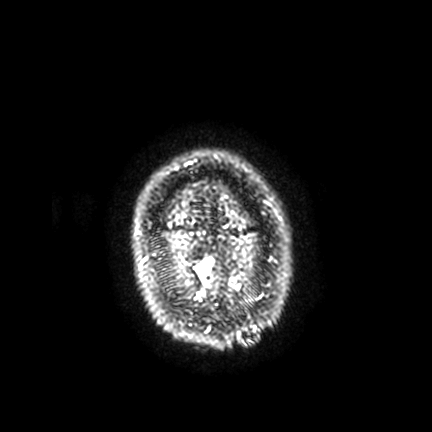
Summary: 3 Tesla brain MRI. Series: FLAIR VISTA with SENSE. Study: ring-enhancing brain masses.